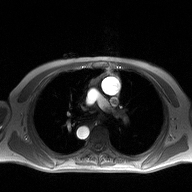
2D phase-contrast cine MRI of the ascending aorta, high-resolution GRAPPA acquisition.